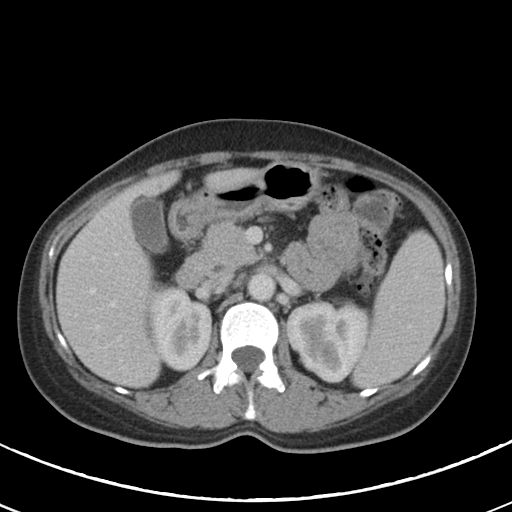
modality = multiphase abdominal CT, liver, portal venous phase | patient = female, age 46.